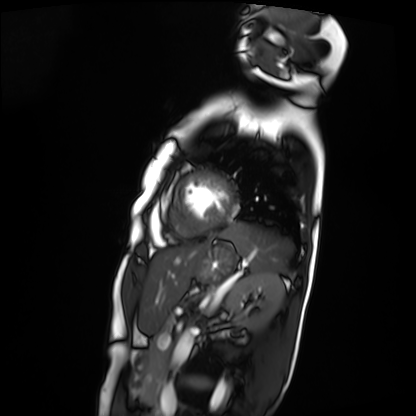
Cardiac MRI. Subject group: patient.